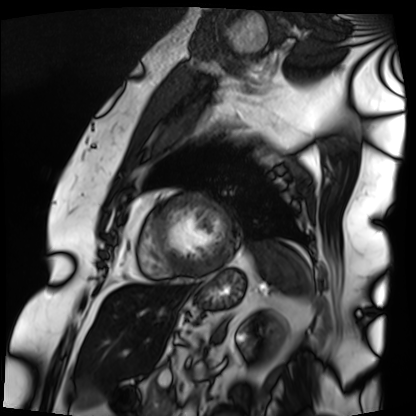
Q: What kind of scan is this?
A: Cardiac MRI.
Subject group: patient.